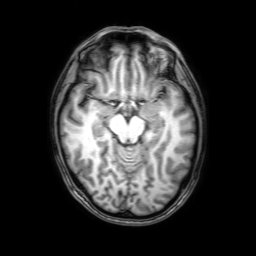
3 Tesla brain MRI. Series: 3D T1-weighted with SENSE. Study: ring-enhancing brain masses.